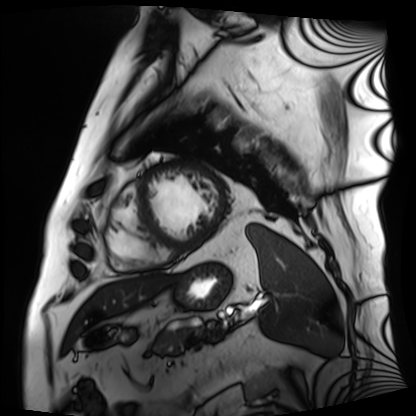
Cardiac MRI. Subject group: patient.